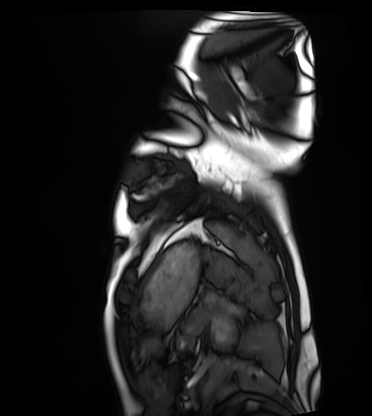
<record>
  <modality>cardiac MRI</modality>
  <cohort>healthy volunteer</cohort>
</record>